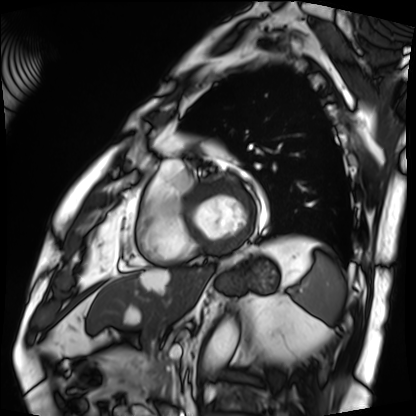
Case:
* modality · cardiac MRI
* subject group · patient